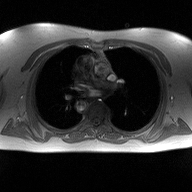
Q: What kind of scan is this?
A: 2D phase-contrast cine MRI of the ascending aorta.